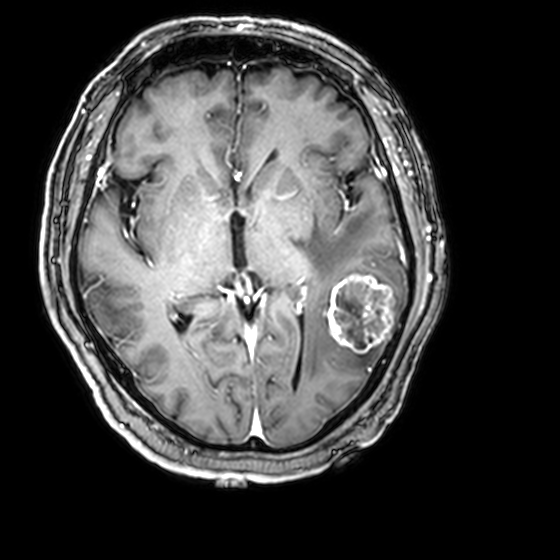
3 Tesla brain MRI. Series: 3D T1-weighted with CLEAR. Study: ring-enhancing brain masses.